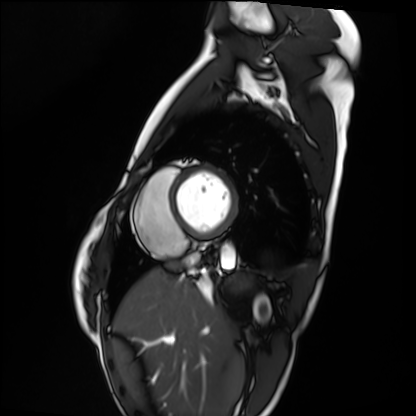
| field | value |
|---|---|
| modality | cardiac MRI |
| subject group | healthy volunteer |